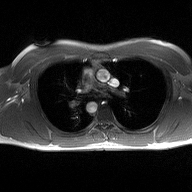
Summary: 2D phase-contrast cine MRI of the ascending aorta, high-resolution GRAPPA acquisition.